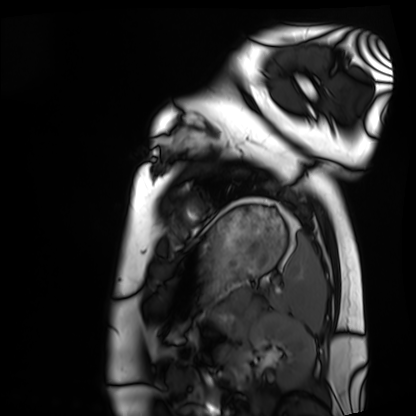
{"modality": "cardiac MRI", "cohort": "healthy volunteer"}